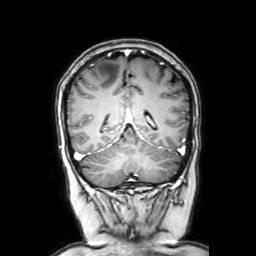
Summary:
3 Tesla brain MRI. Series: coronal with contrast. Study: ring-enhancing brain masses.